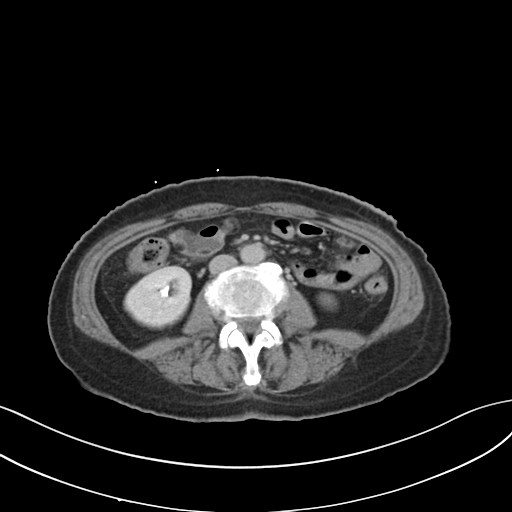
modality=multiphase abdominal CT, liver, delayed phase
patient=female, age 58
history=prior chemotherapy